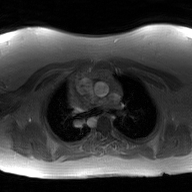
2D phase-contrast cine MRI of the ascending aorta, GAN super-resolution reconstruction.